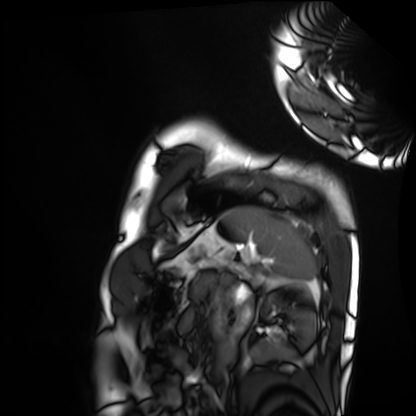
Case summary: Cardiac MRI. Subject group: healthy volunteer.